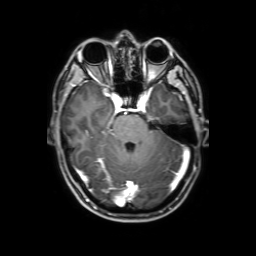
3 Tesla brain MRI. Series: 3D T1-weighted with SENSE. Study: ring-enhancing brain masses.